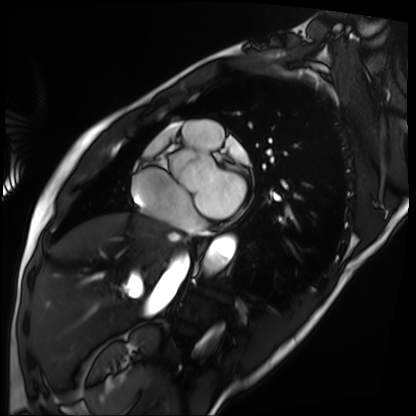
Summary: Cardiac MRI. Subject group: patient.